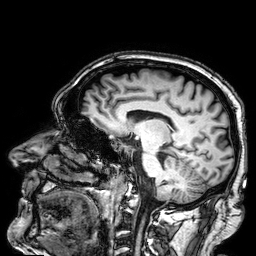
* modality — 3 Tesla brain MRI
* series — 3D T1-weighted
* study — ring-enhancing brain masses